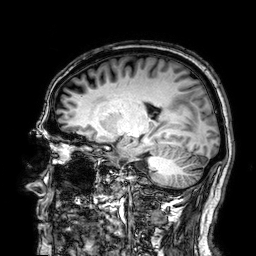
modality = 3 Tesla brain MRI | series = 3D T1-weighted | study = ring-enhancing brain masses.